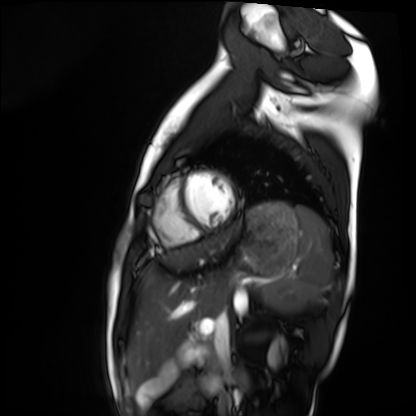
Q: What kind of scan is this?
A: Cardiac MRI.
Subject group: healthy volunteer.